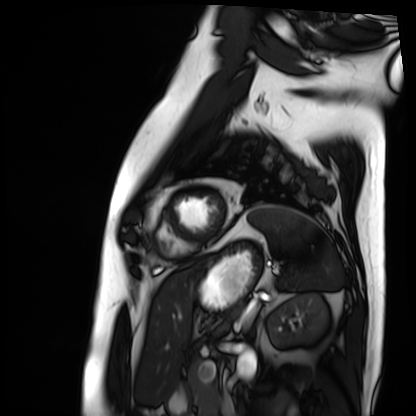
Cardiac MRI.
Subject group: patient.